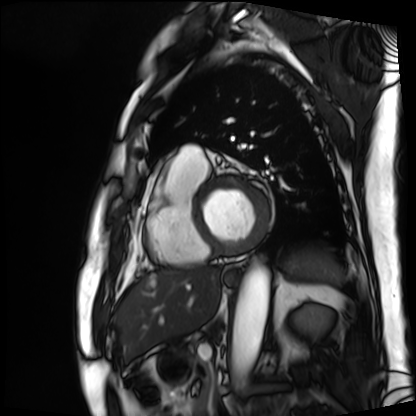
Cardiac MRI. Subject group: patient.